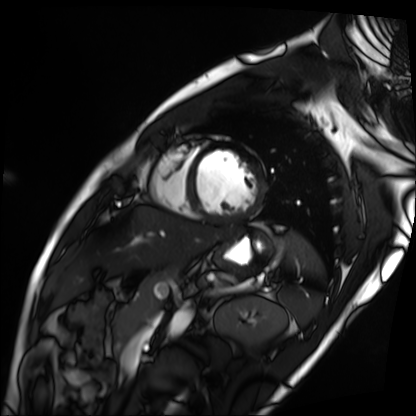
{
  "modality": "cardiac MRI",
  "cohort": "patient"
}